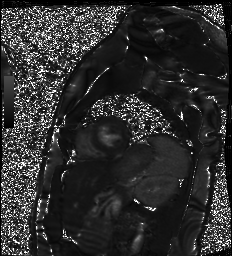
  modality: cardiac MR image of the myocardium
  cohort: healthy volunteer